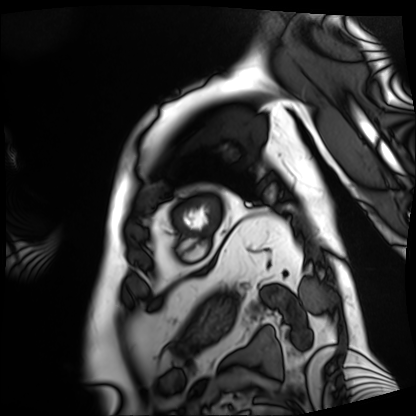
modality — cardiac MRI | subject group — patient.